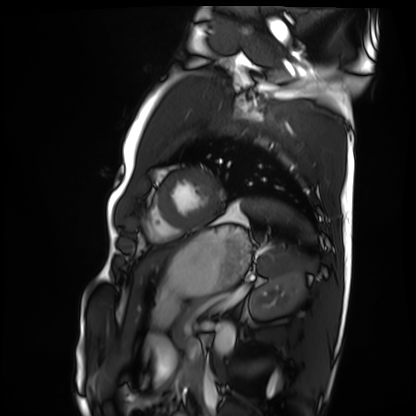
Case summary:
Cardiac MRI. Subject group: healthy volunteer.